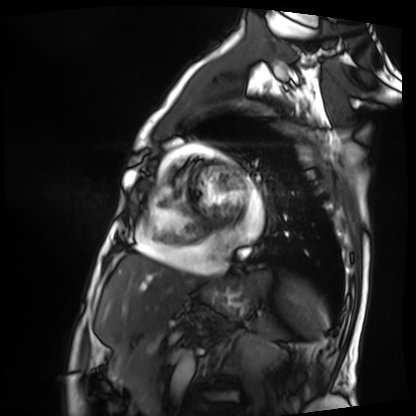
Clinical context:
Cardiac MRI. Subject group: patient.